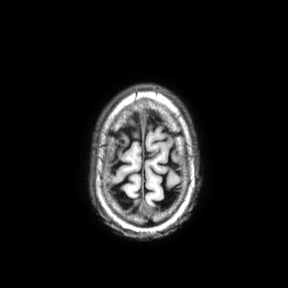
Clinical context:
3 Tesla brain MRI. Series: axial. Study: ring-enhancing brain masses.